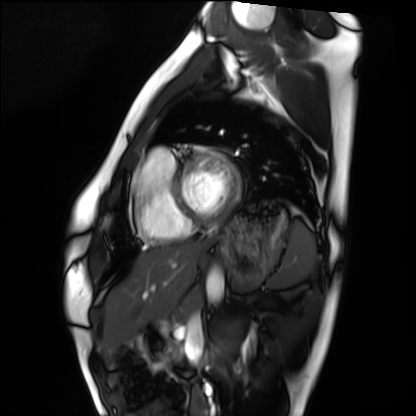
Cardiac MRI. Subject group: healthy volunteer.